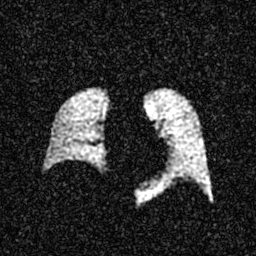
Hyperpolarized 129Xe ventilation MRI of the lungs.